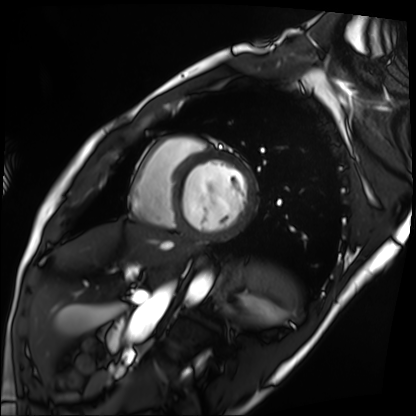
Cardiac MRI.
Subject group: patient.